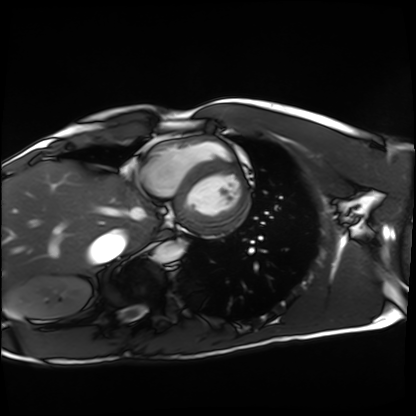
Summary:
Cardiac MRI. Subject group: healthy volunteer.